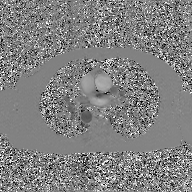
modality: 2D phase-contrast cine MRI of the ascending aorta, GAN super-resolution reconstruction.